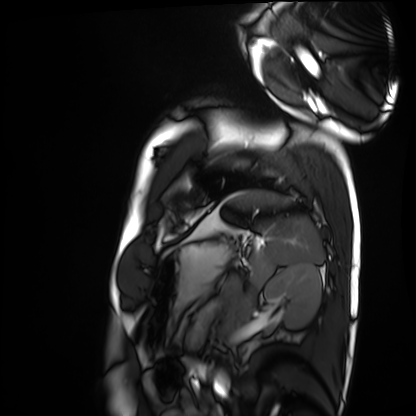
Cardiac MRI. Subject group: healthy volunteer.